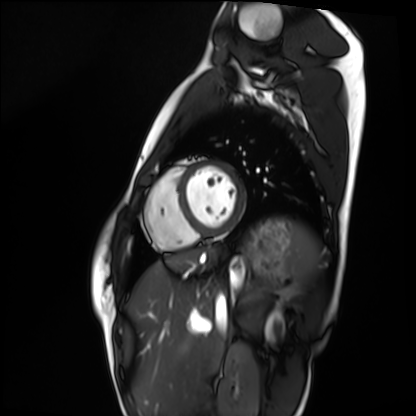
modality: cardiac MRI; subject group: healthy volunteer.